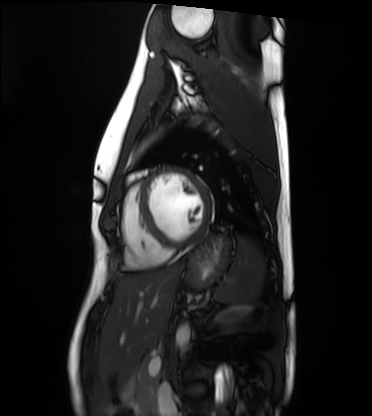
Cardiac MRI. Subject group: healthy volunteer.